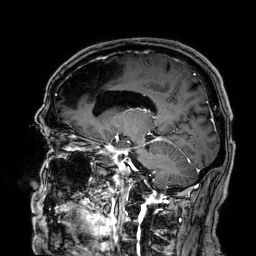
Summary: 3 Tesla brain MRI. Series: 3D T1-weighted. Study: ring-enhancing brain masses.